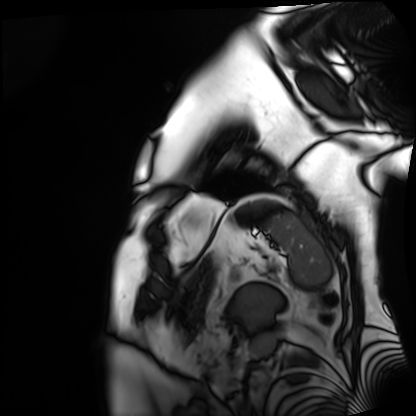
{
  "modality": "cardiac MRI",
  "cohort": "patient"
}